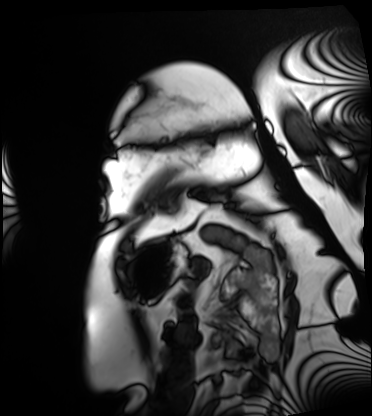
<record>
<modality>cardiac MRI</modality>
<cohort>patient</cohort>
</record>